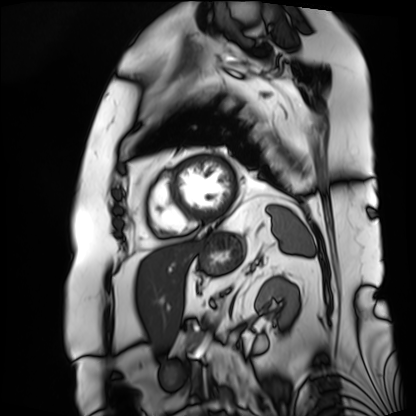
modality: cardiac MRI; subject group: patient.